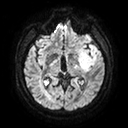
– modality · 3 Tesla brain MRI
– series · diffusion tensor imaging (medium iso)
– study · ring-enhancing brain masses